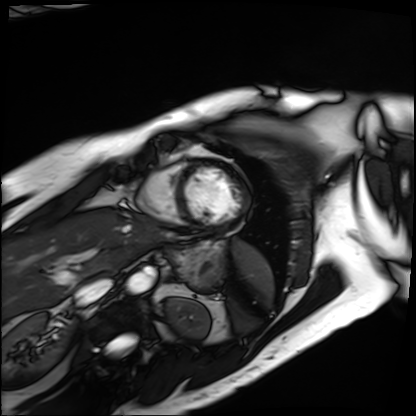
modality: cardiac MRI
subject group: patient